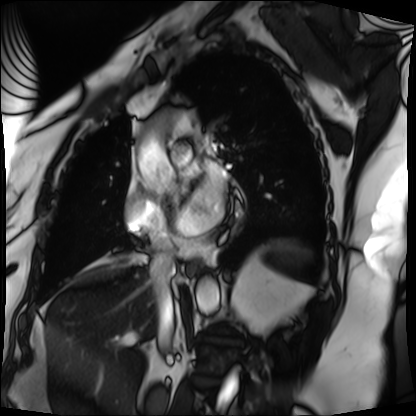
modality: cardiac MRI
cohort: patient